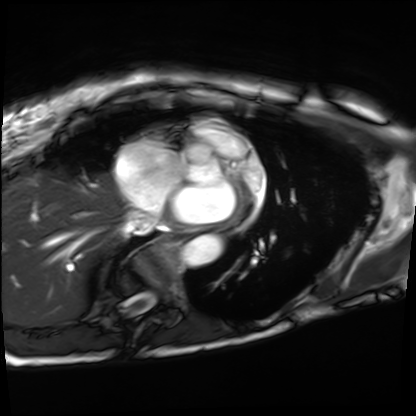
Case:
* modality — cardiac MRI
* subject group — patient